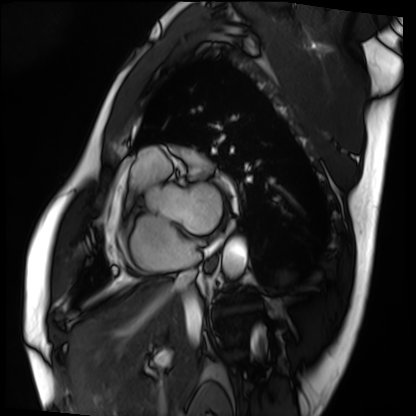
modality: cardiac MRI
subject group: patient